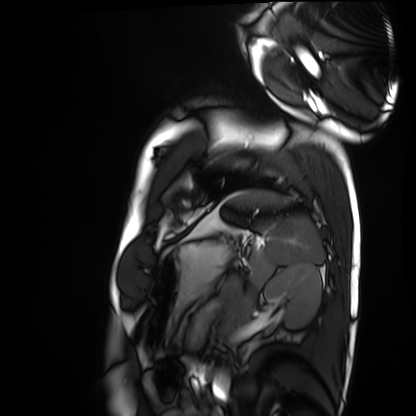
Summary: Cardiac MRI. Subject group: healthy volunteer.